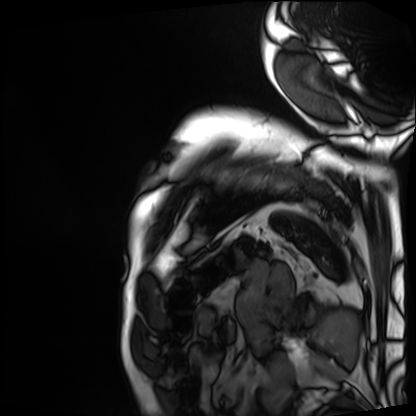
• modality: cardiac MRI
• subject group: patient